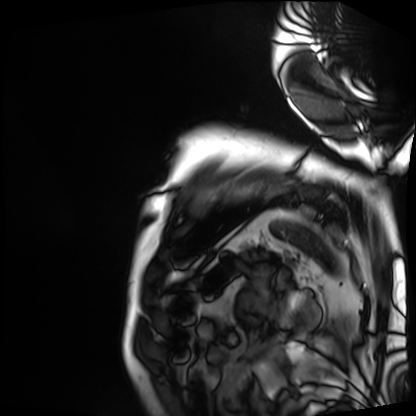
Cardiac MRI.
Subject group: patient.